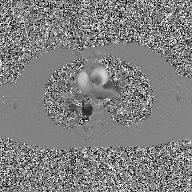
Q: What kind of scan is this?
A: 2D phase-contrast cine MRI of the ascending aorta, GAN super-resolution reconstruction.